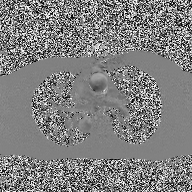
{"modality": {"type": "2D phase-contrast cine MRI", "region": "ascending aorta", "reconstruction": "high-resolution GRAPPA acquisition"}}